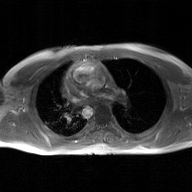
Case summary: 2D phase-contrast cine MRI of the ascending aorta, GAN super-resolution reconstruction.